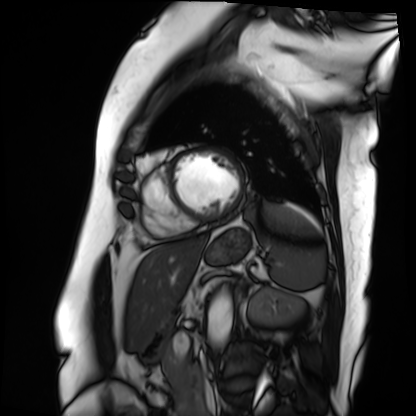
modality = cardiac MRI; subject group = patient.